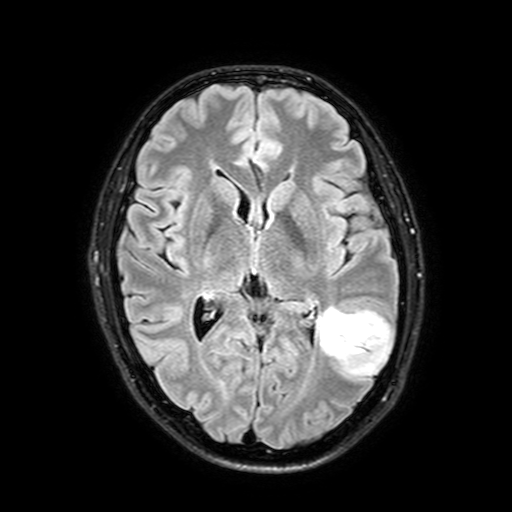
Summary: 3 Tesla brain MRI. Series: FLAIR with SPAIR, 3 mm. Study: ring-enhancing brain masses.